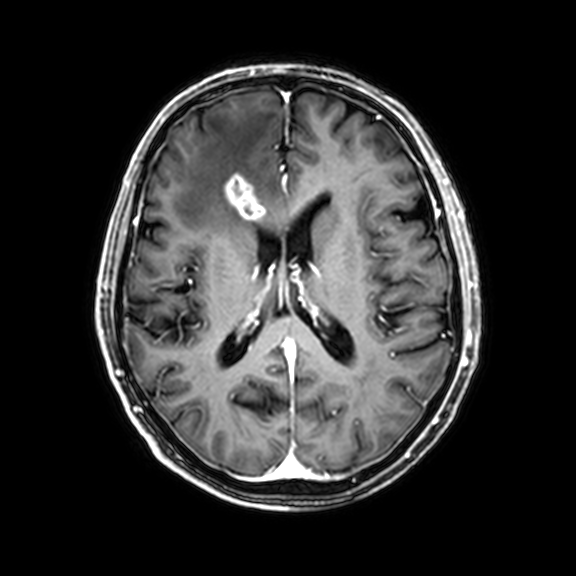
modality — 3 Tesla brain MRI | series — 3D T1-weighted with CLEAR | study — ring-enhancing brain masses.